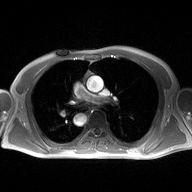
{
  "modality": {
    "type": "2D phase-contrast cine MRI",
    "region": "ascending aorta",
    "reconstruction": "high-resolution GRAPPA acquisition"
  }
}